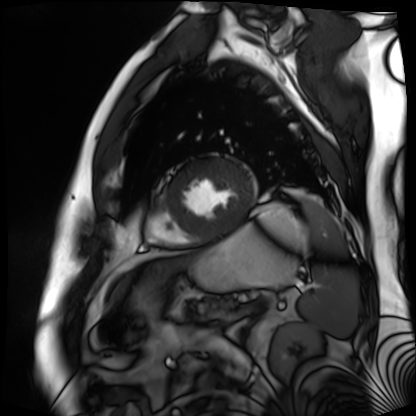
Cardiac MR image of the myocardium.
Subject cohort: cardiac patient.